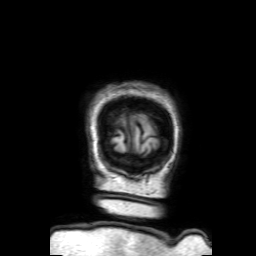
3 Tesla brain MRI.
Series: 3D T1-weighted with SENSE.
Study: ring-enhancing brain masses.